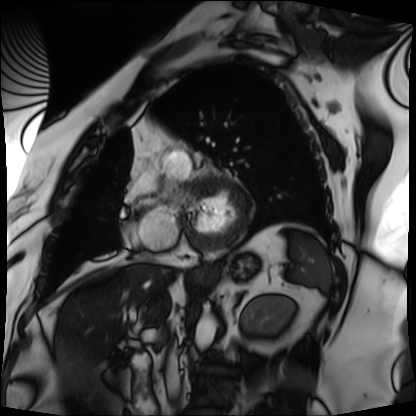
Case summary: Cardiac MRI. Subject group: patient.